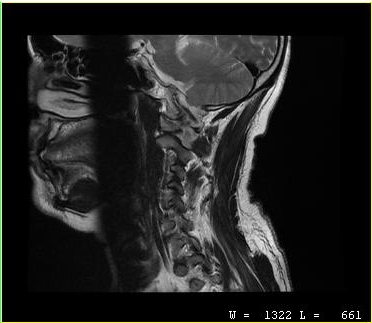
MRI of the cervical spine. Study: cervical spondylosis.